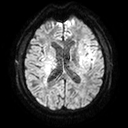
Summary:
3 Tesla brain MRI. Series: diffusion tensor imaging (medium iso). Study: ring-enhancing brain masses.